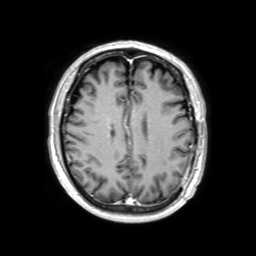
Summary: 3 Tesla brain MRI. Series: 3D T1-weighted TFE with SENSE. Study: ring-enhancing brain masses.